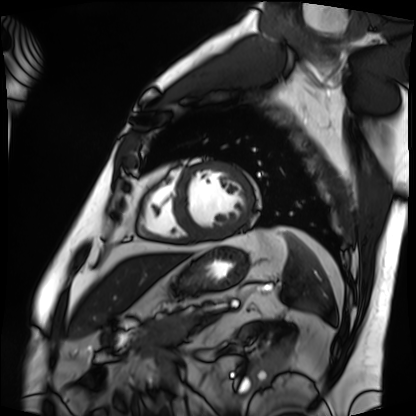
Cardiac MRI. Subject group: patient.